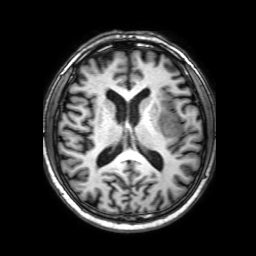
3 Tesla brain MRI. Series: 3D T1-weighted with SENSE. Study: ring-enhancing brain masses.